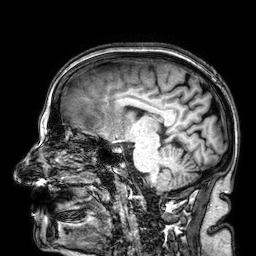
Summary: 3 Tesla brain MRI. Series: 3D T1-weighted. Study: ring-enhancing brain masses.